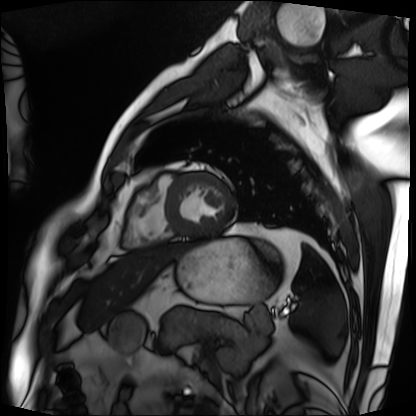
modality=cardiac MRI
subject group=patient